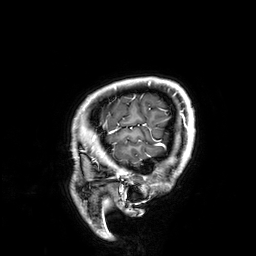
modality: 3 Tesla brain MRI; series: 3D T1-weighted; study: ring-enhancing brain masses.